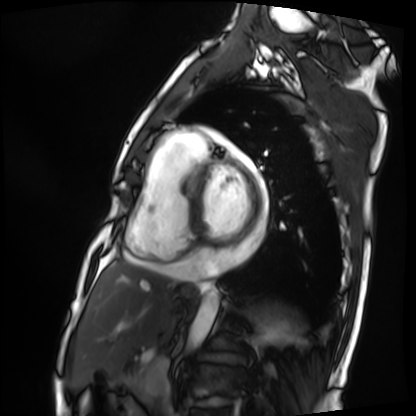
Cardiac MRI.
Subject group: patient.